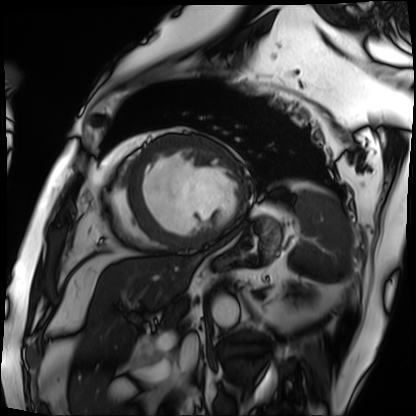
Cardiac MRI. Subject group: patient.